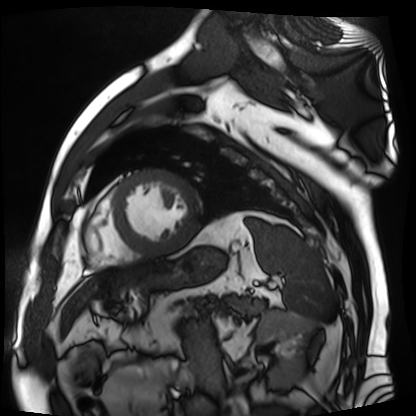
Clinical context:
Cardiac MR image of the myocardium. Subject cohort: cardiac patient.